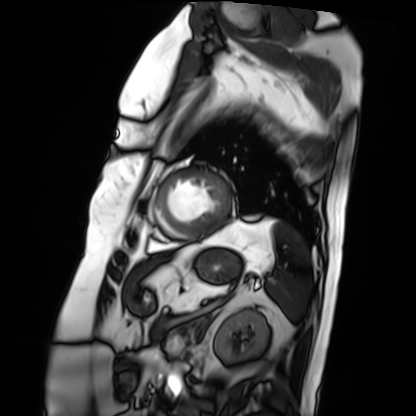
Q: What kind of scan is this?
A: Cardiac MRI.
Subject group: patient.